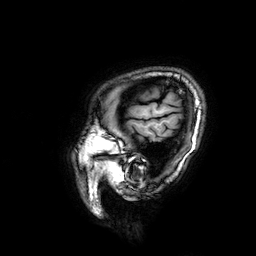
3 Tesla brain MRI.
Study: ring-enhancing brain masses.